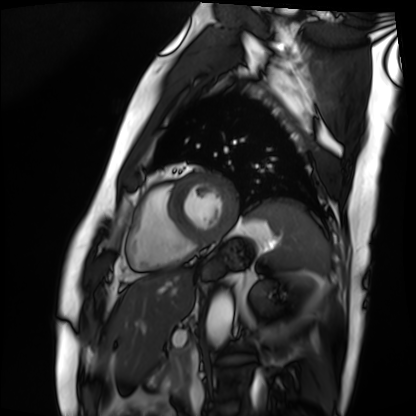
Cardiac MRI.
Subject group: patient.